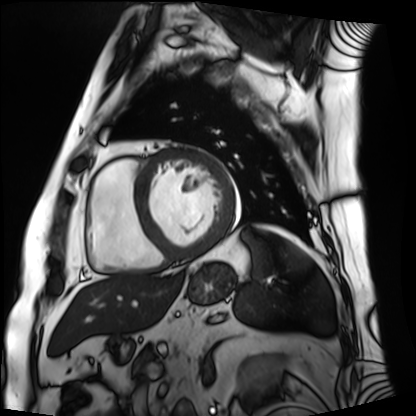
{"modality": "cardiac MRI", "cohort": "patient"}